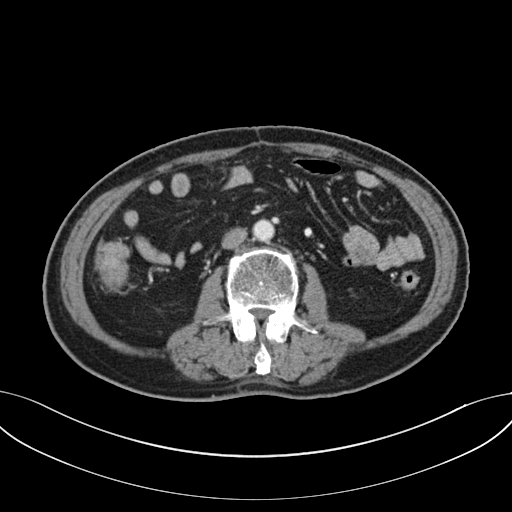
modality=multiphase abdominal CT, liver, portal venous phase | patient=male, age 71.